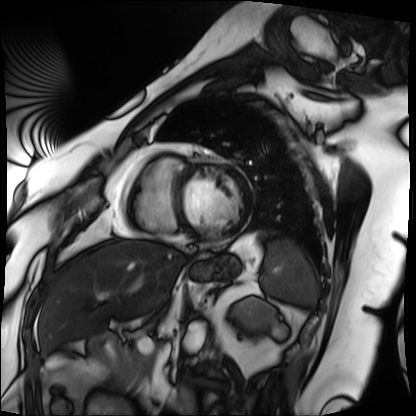
Q: What kind of scan is this?
A: Cardiac MRI.
Subject group: patient.